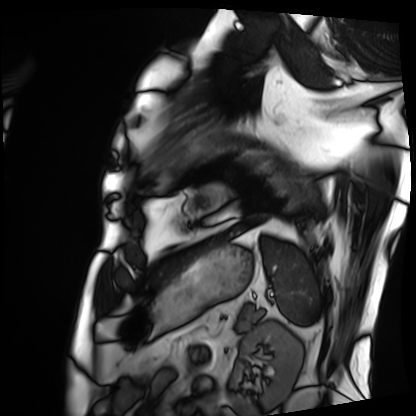
Cardiac MRI. Subject group: patient.